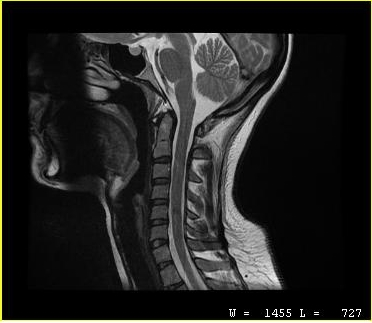
Summary: MRI of the cervical spine. Study: cervical spondylosis.